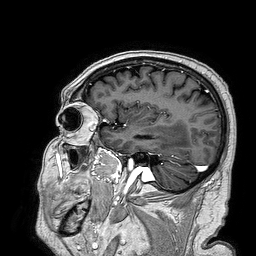
3 Tesla brain MRI. Series: 3D T1-weighted turbo field echo. Study: ring-enhancing brain masses.